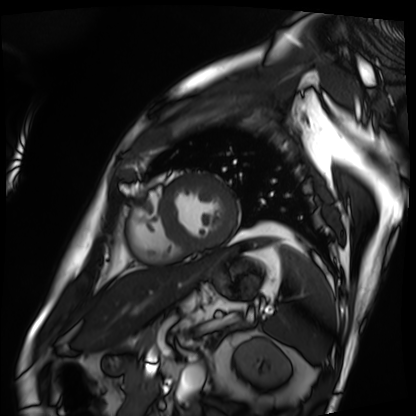
Cardiac MRI. Subject group: patient.